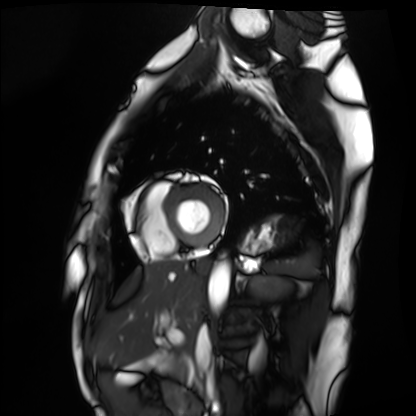
• modality: cardiac MRI
• subject group: healthy volunteer